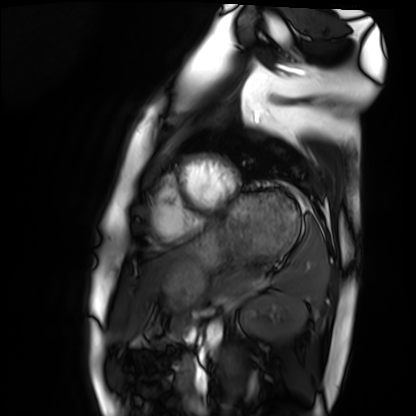
modality — cardiac MRI; subject group — healthy volunteer.